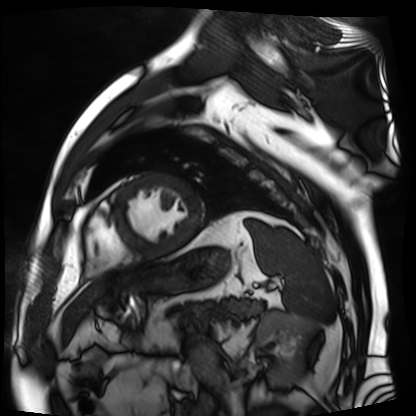
modality: cardiac MR image of the myocardium, subject cohort: cardiac patient.